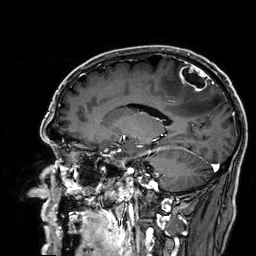
modality: 3 Tesla brain MRI | series: 3D T1-weighted | study: ring-enhancing brain masses.